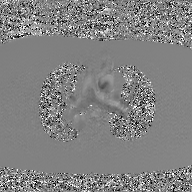
Case summary:
2D phase-contrast cine MRI of the ascending aorta, GAN super-resolution reconstruction.